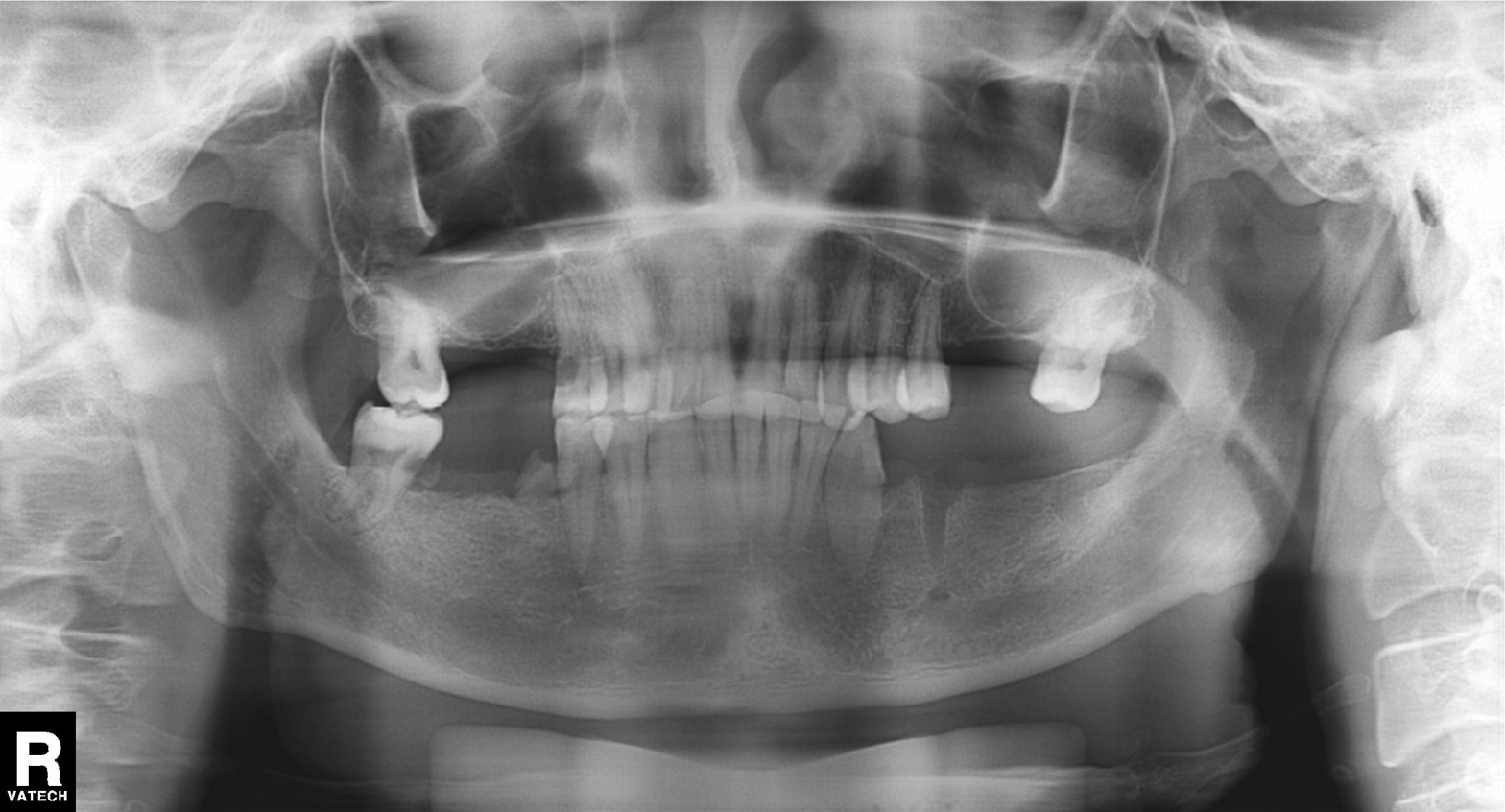
modality: panoramic dental radiograph (orthopantomogram); finding: alveolar bone loss.